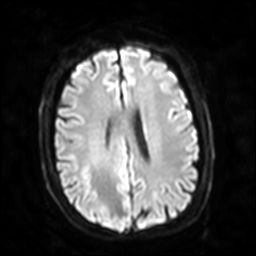
Summary: 3 Tesla brain MRI. Series: diffusion-weighted imaging with SENSE (WIP). Study: ring-enhancing brain masses.